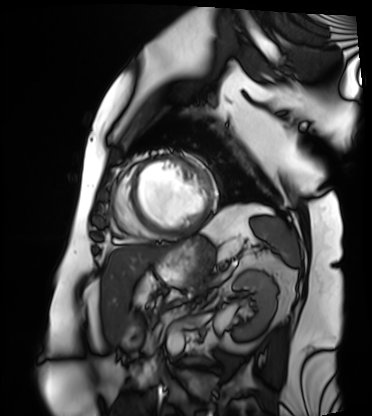
Cardiac MRI. Subject group: patient.